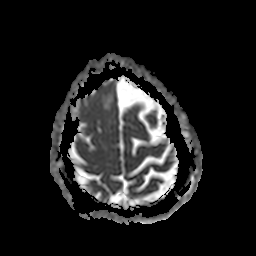
<record>
<modality>
  <type>brain MRI</type>
  <field_strength>3T</field_strength>
</modality>
<series>apparent diffusion coefficient (ADC) map</series>
<study_topic>ring-enhancing brain masses</study_topic>
</record>